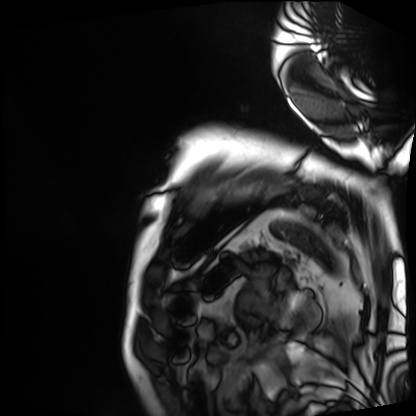
Case:
* modality — cardiac MRI
* subject group — patient